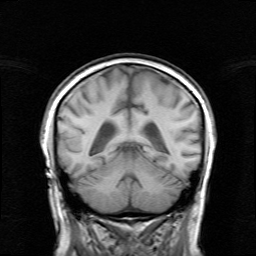
3 Tesla brain MRI.
Series: survey.
Study: ring-enhancing brain masses.